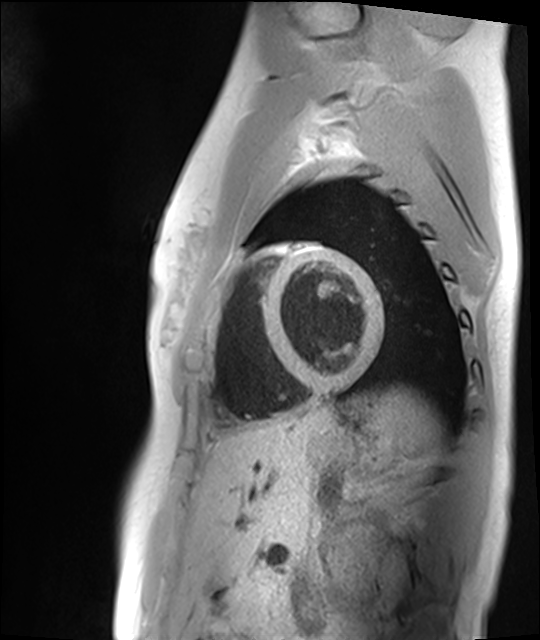
Summary: Cardiac MRI. Subject group: healthy volunteer.